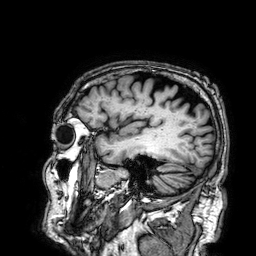
modality: 3 Tesla brain MRI; series: 3D T1-weighted; study: ring-enhancing brain masses.